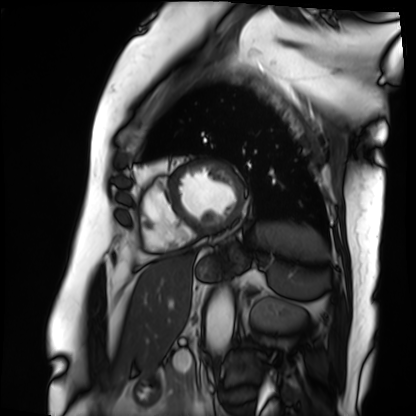
Q: What kind of scan is this?
A: Cardiac MRI.
Subject group: patient.